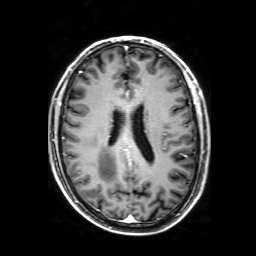
3 Tesla brain MRI. Series: 3D T1-weighted with SENSE. Study: ring-enhancing brain masses.